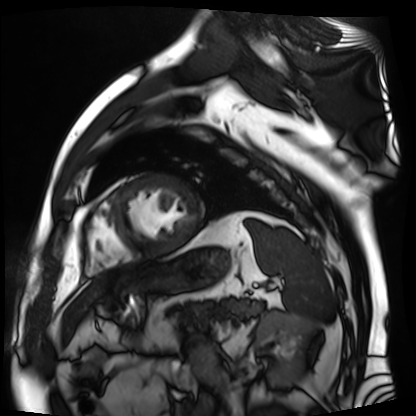
Cardiac MR image of the myocardium. Subject cohort: cardiac patient.